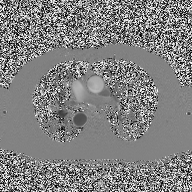
Summary: 2D phase-contrast cine MRI of the ascending aorta, high-resolution GRAPPA acquisition.